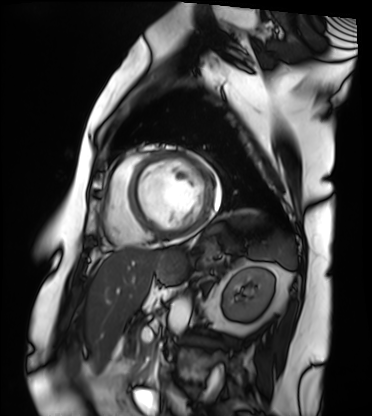
Clinical context:
Cardiac MRI. Subject group: patient.